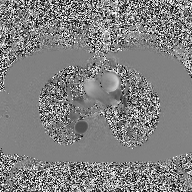
– modality · 2D phase-contrast cine MRI of the ascending aorta